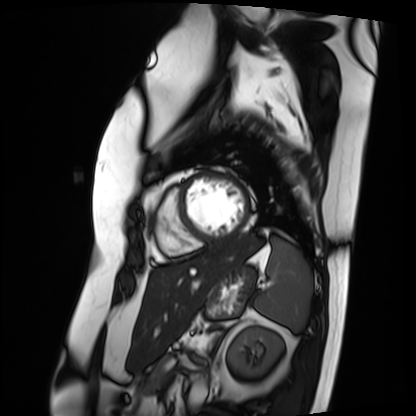
Clinical context: Cardiac MRI. Subject group: patient.